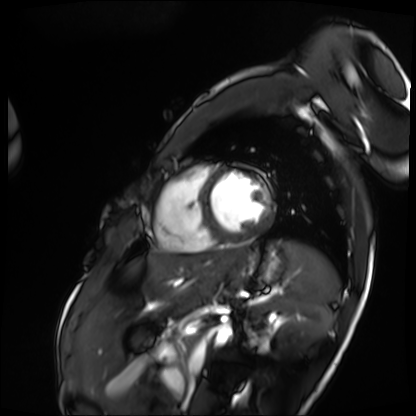
modality — cardiac MRI; subject group — patient.